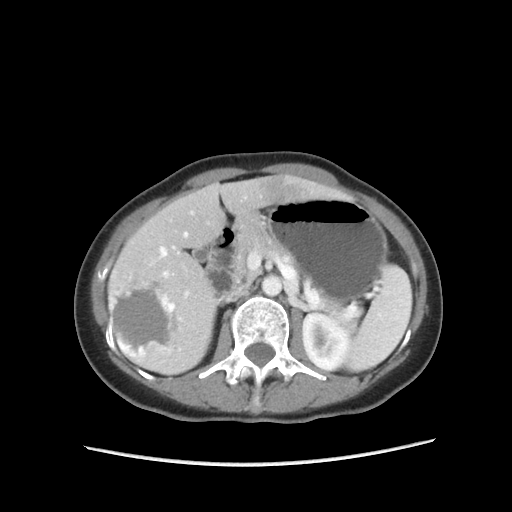
modality: multiphase abdominal CT, liver, portal venous phase
patient: female, age 51